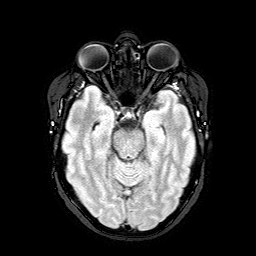
3 Tesla brain MRI.
Series: FLAIR with SPAIR.
Study: ring-enhancing brain masses.